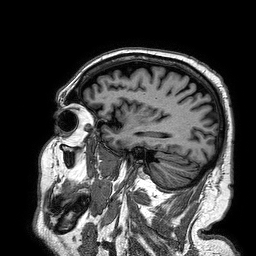
- modality — 3 Tesla brain MRI
- series — 3D T1-weighted turbo field echo
- study — ring-enhancing brain masses